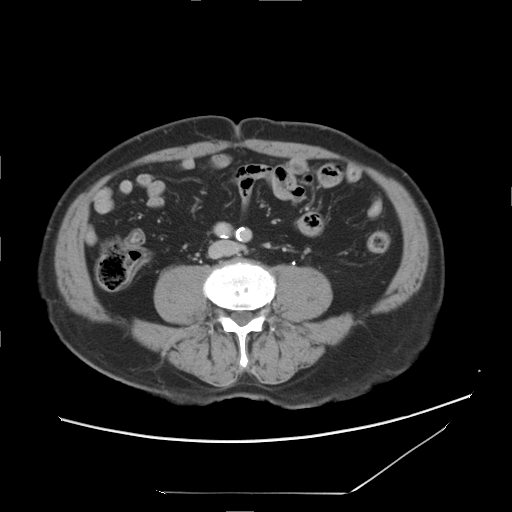
modality: multiphase abdominal CT, liver, delayed phase | patient: male, age 75 | history: cirrhosis, viral hepatitis.